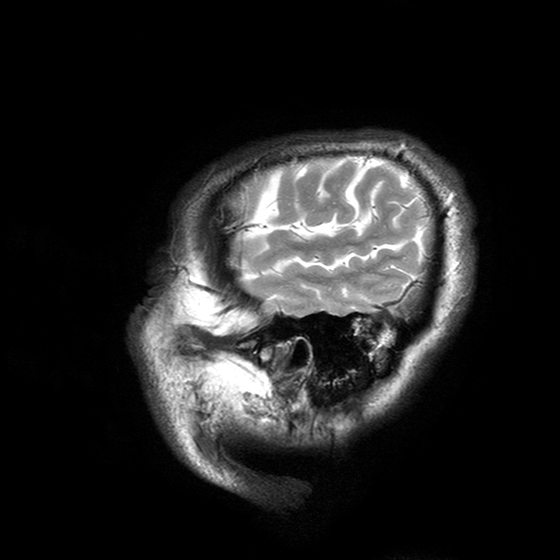
modality: 3 Tesla brain MRI; series: T2-weighted turbo spin echo with SENSE; study: ring-enhancing brain masses.